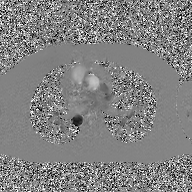
Clinical context: 2D phase-contrast cine MRI of the ascending aorta, GAN super-resolution reconstruction.